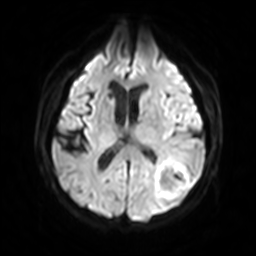
3 Tesla brain MRI. Series: diffusion-weighted imaging with SENSE (WIP). Study: ring-enhancing brain masses.